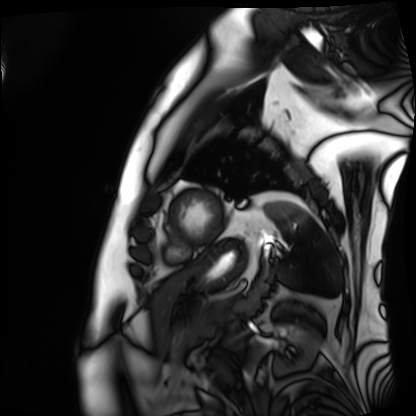
{
  "modality": "cardiac MRI",
  "cohort": "patient"
}